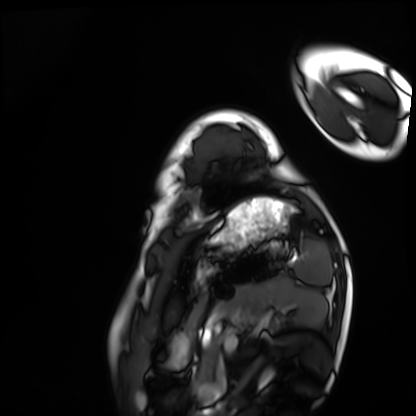
Cardiac MRI.
Subject group: healthy volunteer.